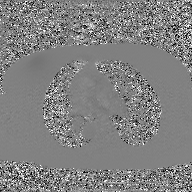
2D phase-contrast cine MRI of the ascending aorta, GAN super-resolution reconstruction.